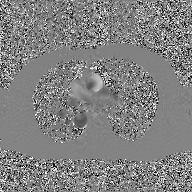
Case summary:
2D phase-contrast cine MRI of the ascending aorta, GAN super-resolution reconstruction.